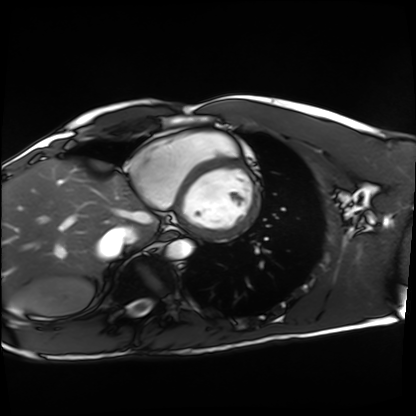
Case summary:
Cardiac MRI. Subject group: healthy volunteer.